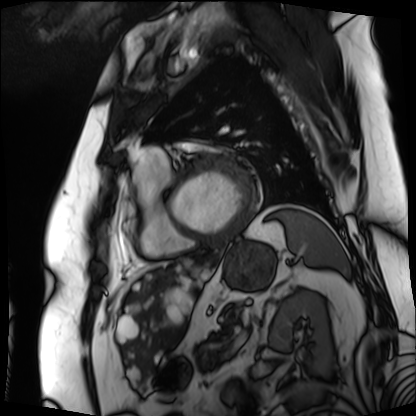
Q: What kind of scan is this?
A: Cardiac MRI.
Subject group: patient.